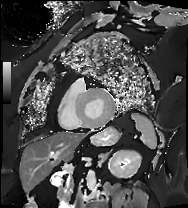
modality: cardiac MRI; subject group: patient.